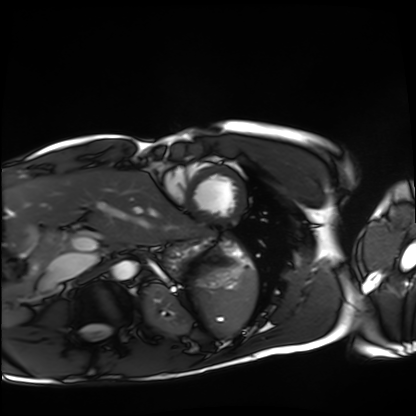
{
  "modality": "cardiac MRI",
  "cohort": "healthy volunteer"
}